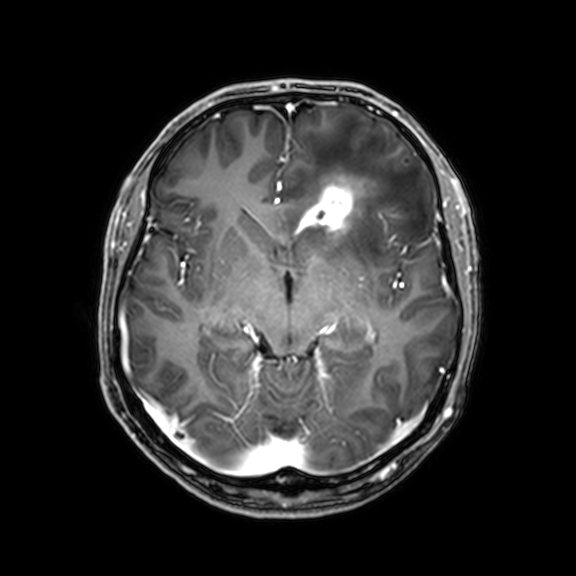
modality — 3 Tesla brain MRI | series — 3D T1-weighted with CLEAR | study — ring-enhancing brain masses.